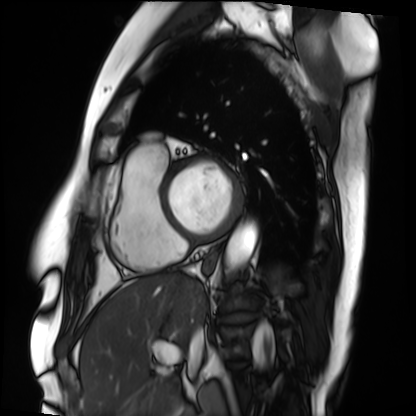
| field | value |
|---|---|
| modality | cardiac MRI |
| subject group | patient |